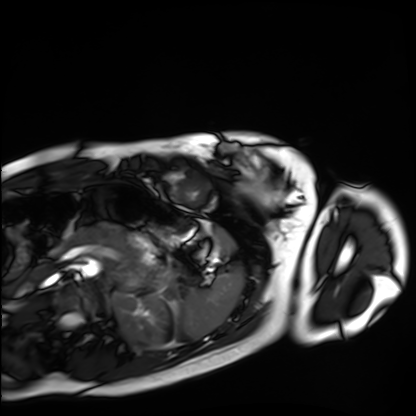
Cardiac MRI.
Subject group: healthy volunteer.